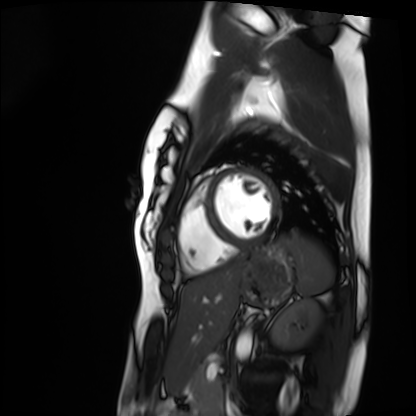
Clinical context:
Cardiac MRI. Subject group: healthy volunteer.